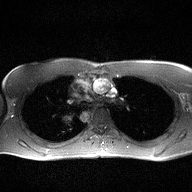
modality = 2D phase-contrast cine MRI of the ascending aorta.